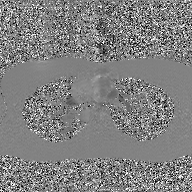
2D phase-contrast cine MRI of the ascending aorta, GAN super-resolution reconstruction.